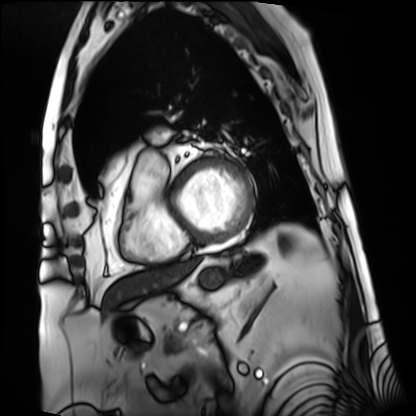
• modality · cardiac MRI
• subject group · patient